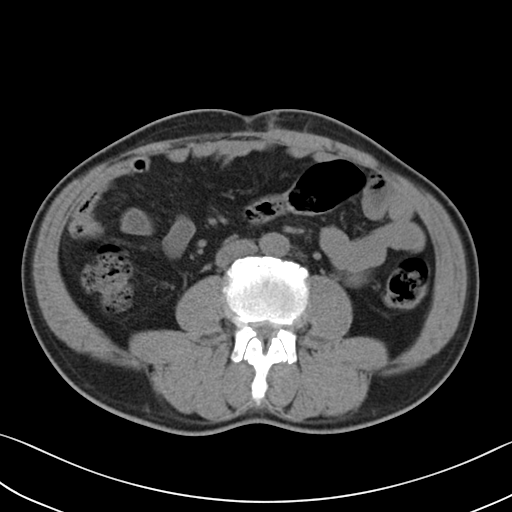
Clinical context:
Multiphase abdominal CT, liver, non-contrast phase. Patient: male, age 58.